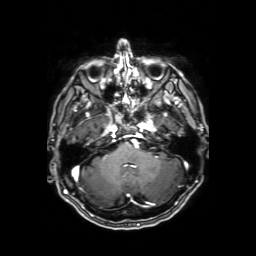
<study>
<modality>
  <type>brain MRI</type>
  <field_strength>3T</field_strength>
</modality>
<series>axial T1-weighted fusion image</series>
<study_topic>ring-enhancing brain masses</study_topic>
</study>